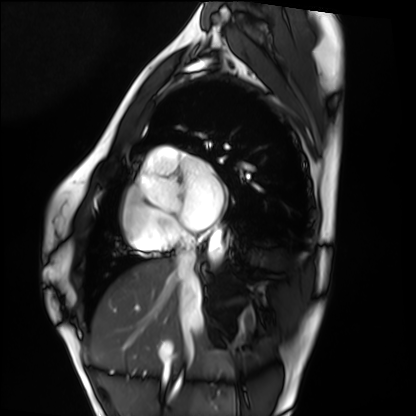
Cardiac MRI. Subject group: healthy volunteer.